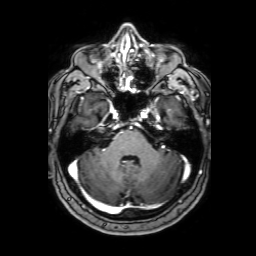
| field | value |
|---|---|
| modality | 3 Tesla brain MRI |
| series | 3D T1-weighted with SENSE |
| study | ring-enhancing brain masses |